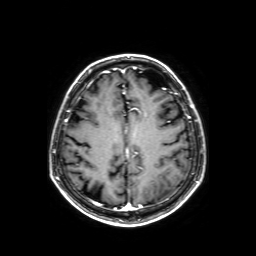
Case:
* modality: 3 Tesla brain MRI
* series: axial T1-weighted fusion image
* study: ring-enhancing brain masses